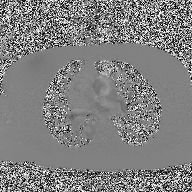
Q: What kind of scan is this?
A: 2D phase-contrast cine MRI of the ascending aorta.